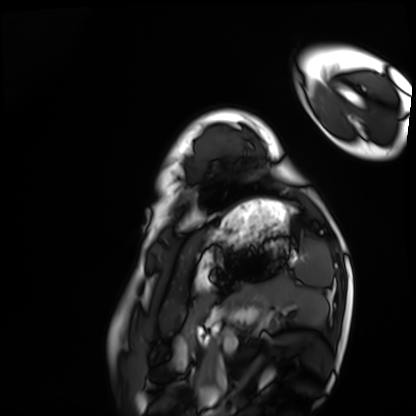
Clinical context:
Cardiac MRI. Subject group: healthy volunteer.